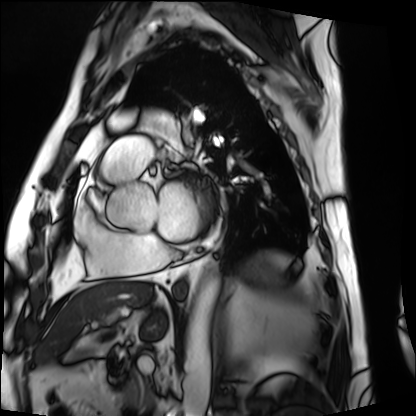
Cardiac MRI. Subject group: patient.